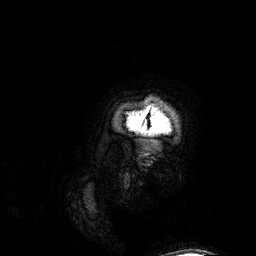
Case summary:
3 Tesla brain MRI. Series: 3D T1-weighted. Study: ring-enhancing brain masses.